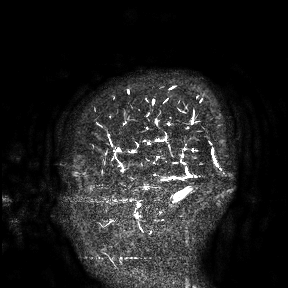
<scan>
<modality>
  <type>brain MRI</type>
  <field_strength>3T</field_strength>
</modality>
<study_topic>ring-enhancing brain masses</study_topic>
</scan>